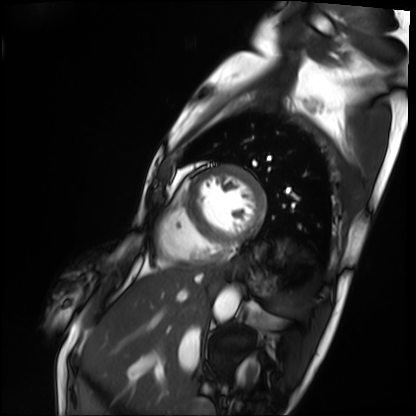
Q: What kind of scan is this?
A: Cardiac MRI.
Subject group: patient.